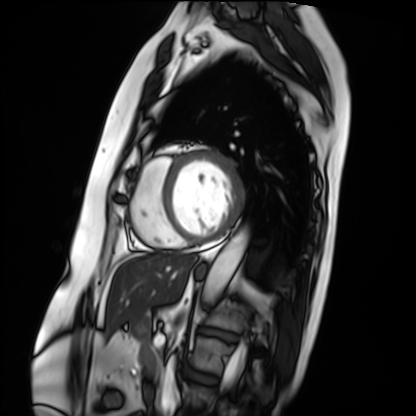
Cardiac MRI. Subject group: patient.